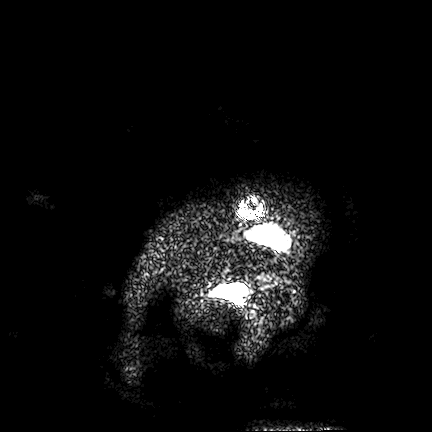
3 Tesla brain MRI. Series: FLAIR VISTA. Study: ring-enhancing brain masses.